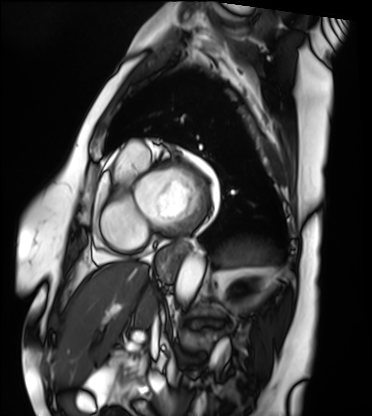
Cardiac MRI. Subject group: patient.